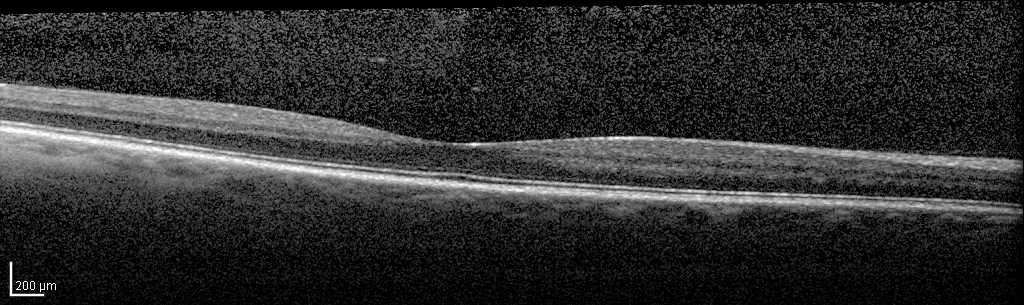
| field | value |
|---|---|
| modality | spectral-domain optical coherence tomography (SD-OCT) of the macula |
| subject | male, age 52, right eye |
| cohort | non-diabetic control |